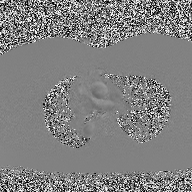
Clinical context:
2D phase-contrast cine MRI of the ascending aorta, high-resolution GRAPPA acquisition.